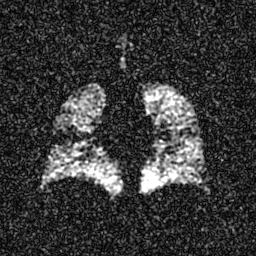
Hyperpolarized 129Xe ventilation MRI of the lungs.
SNR level 5 of 8 (the deposit holds this scan as its native image and as seven SNR-degraded versions).